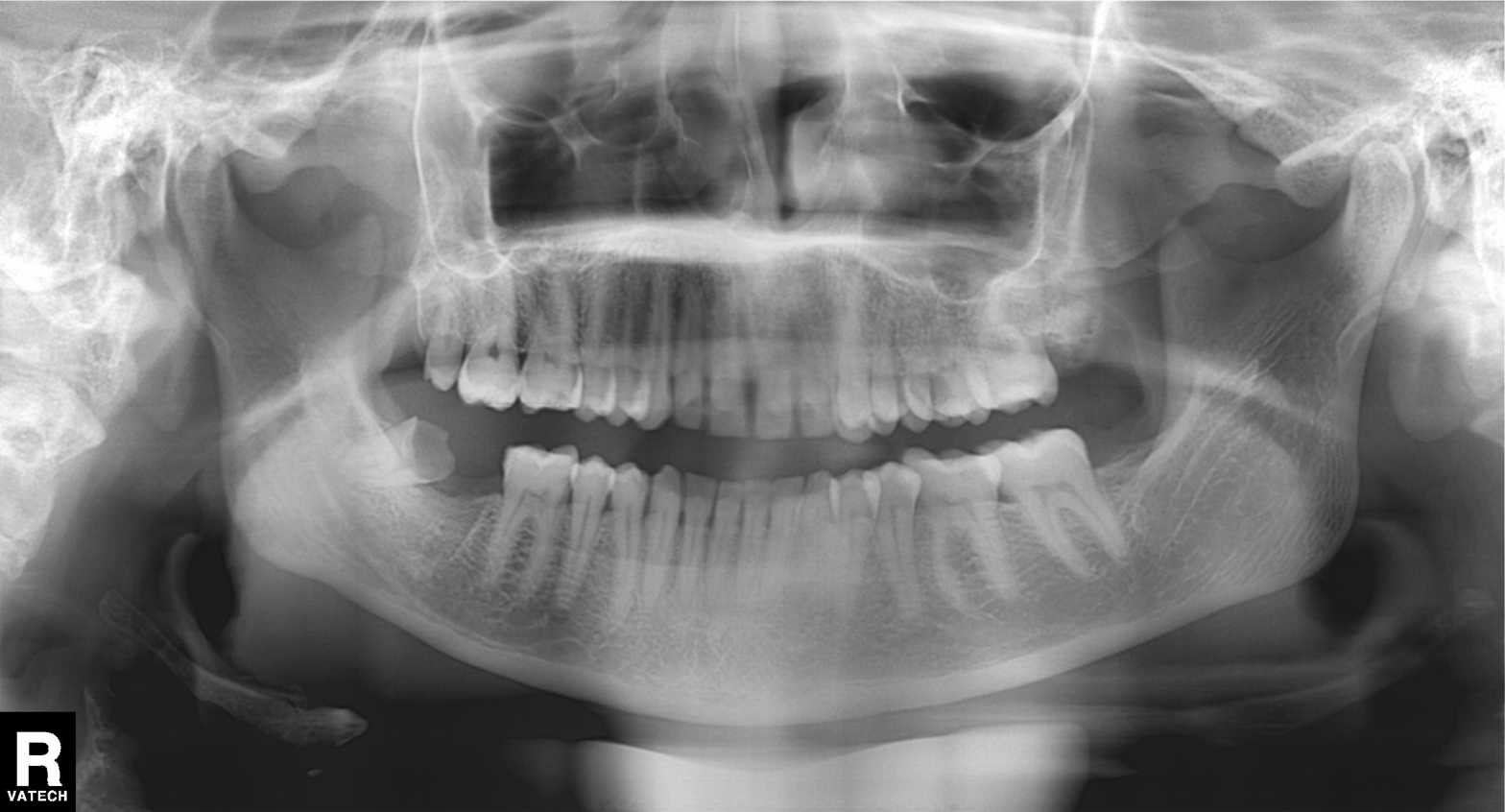
Findings:
- modality — panoramic dental radiograph (orthopantomogram)
- finding — alveolar bone loss